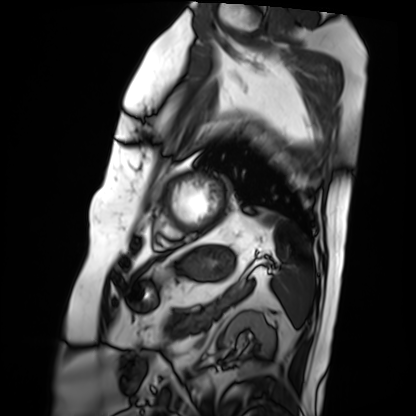
modality — cardiac MRI; subject group — patient.